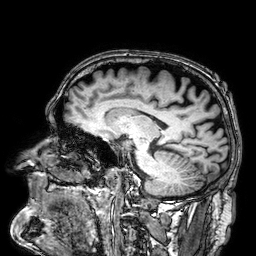
Summary: 3 Tesla brain MRI. Series: 3D T1-weighted. Study: ring-enhancing brain masses.